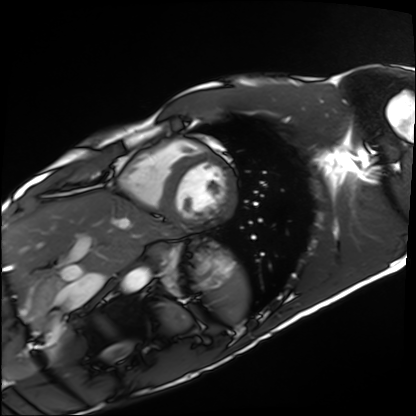
Case summary:
Cardiac MRI. Subject group: healthy volunteer.